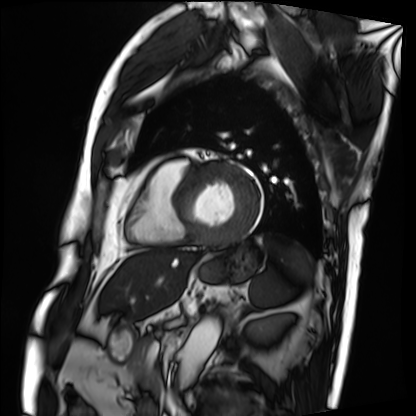
Clinical context: Cardiac MRI. Subject group: patient.